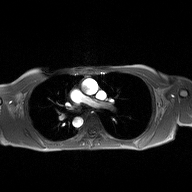
2D phase-contrast cine MRI of the ascending aorta, high-resolution GRAPPA acquisition.